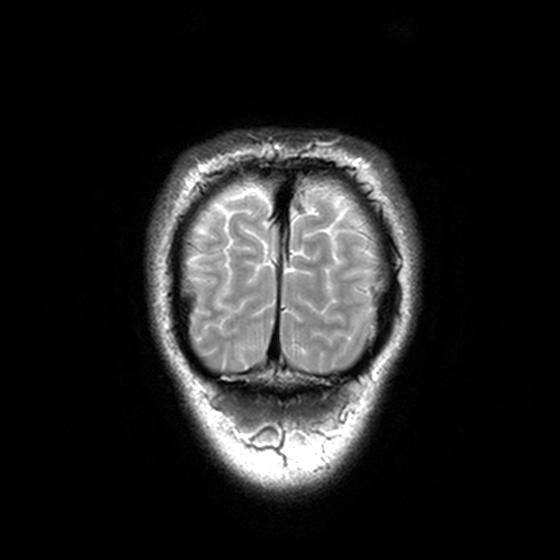
modality = 3 Tesla brain MRI | series = T2-weighted turbo spin echo, 3 mm | study = ring-enhancing brain masses.